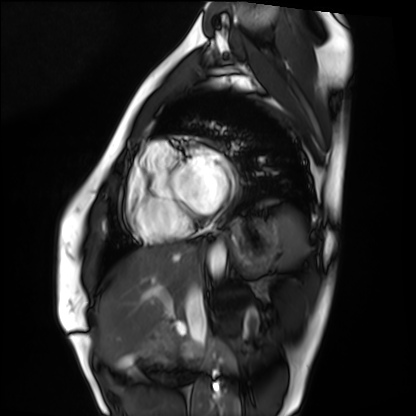
<scan>
<modality>cardiac MRI</modality>
<cohort>healthy volunteer</cohort>
</scan>